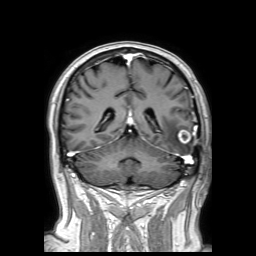
Case summary:
3 Tesla brain MRI. Series: 3D T1-weighted TFE with SENSE. Study: ring-enhancing brain masses.